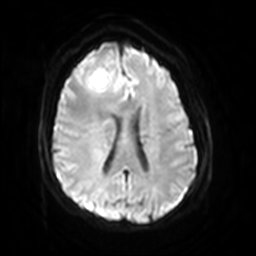
<case>
<modality>
  <type>brain MRI</type>
  <field_strength>3T</field_strength>
</modality>
<series>diffusion-weighted imaging with SENSE (WIP)</series>
<study_topic>ring-enhancing brain masses</study_topic>
</case>